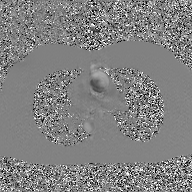
modality:
  type: 2D phase-contrast cine MRI
  region: ascending aorta
  reconstruction: GAN super-resolution reconstruction